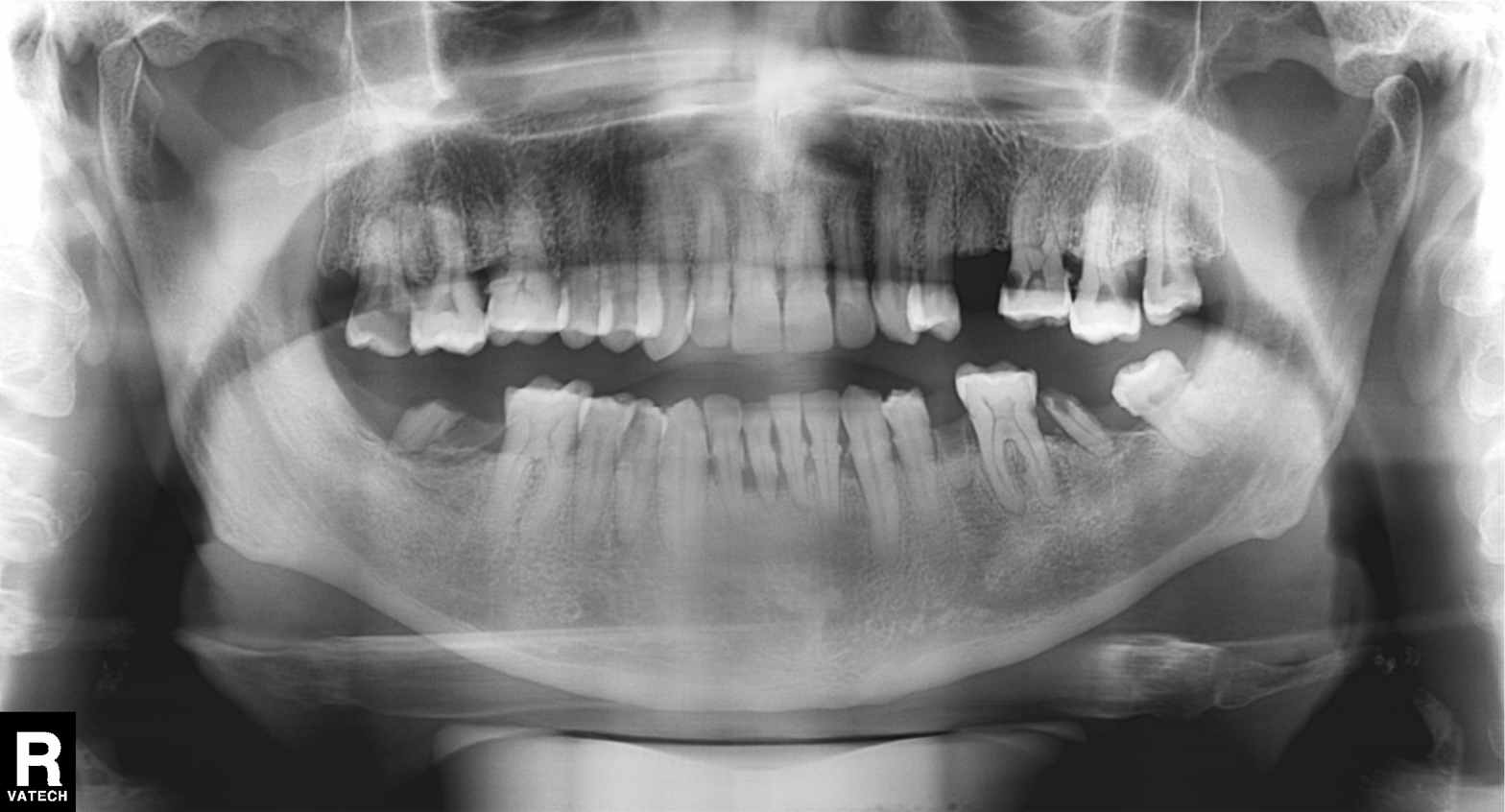
modality=panoramic dental radiograph (orthopantomogram)
finding=dental caries (cavities)